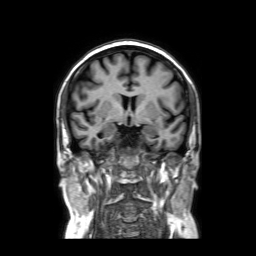
modality=3 Tesla brain MRI | series=coronal without contrast | study=ring-enhancing brain masses.